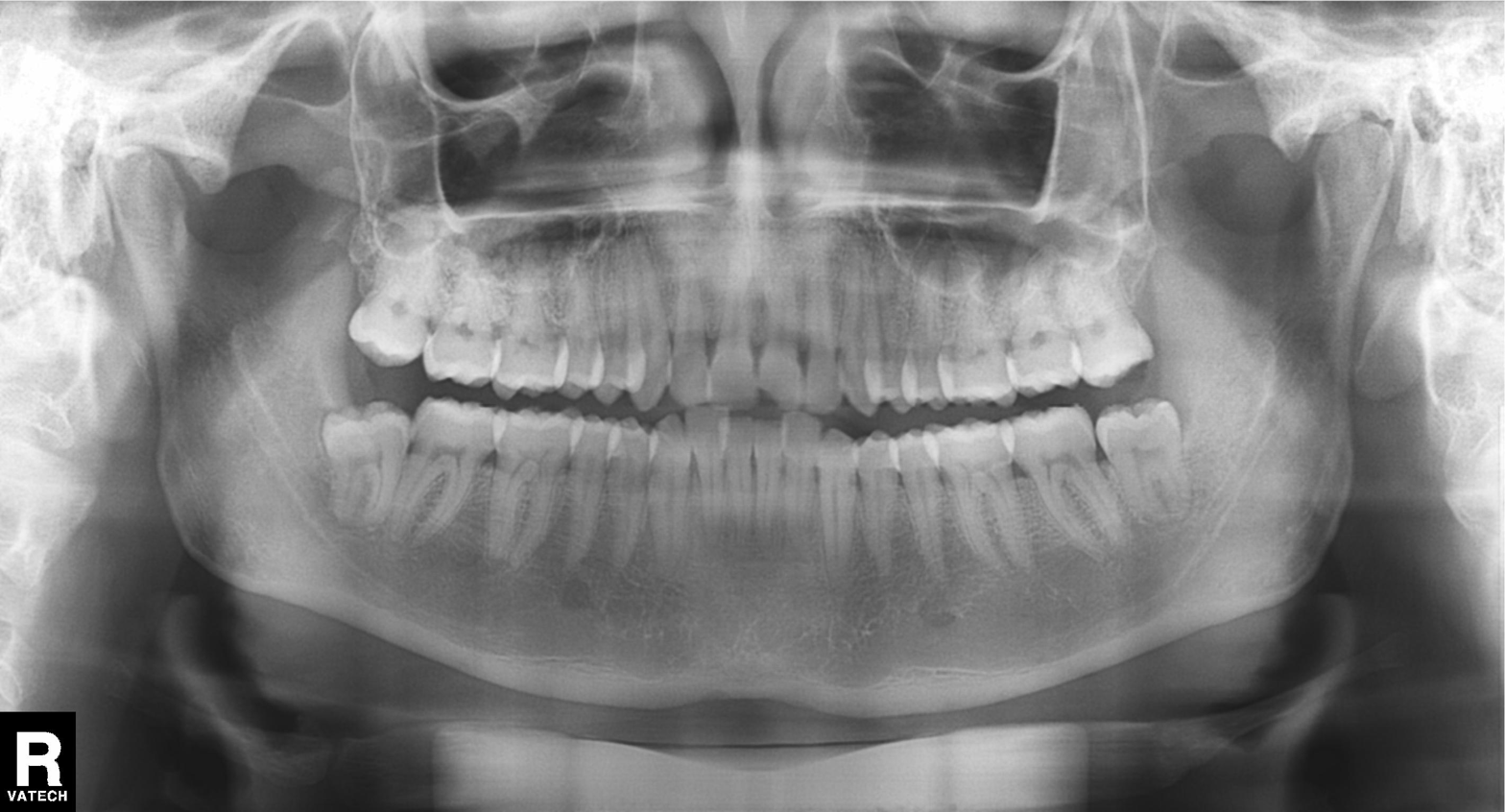
• modality — panoramic dental radiograph (orthopantomogram)
• finding — alveolar bone loss